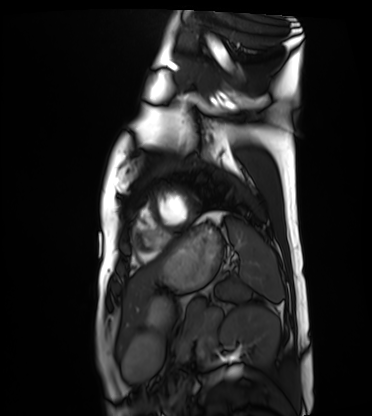
modality = cardiac MRI; subject group = healthy volunteer.